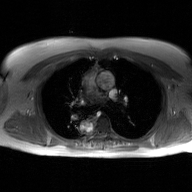
2D phase-contrast cine MRI of the ascending aorta, GAN super-resolution reconstruction.